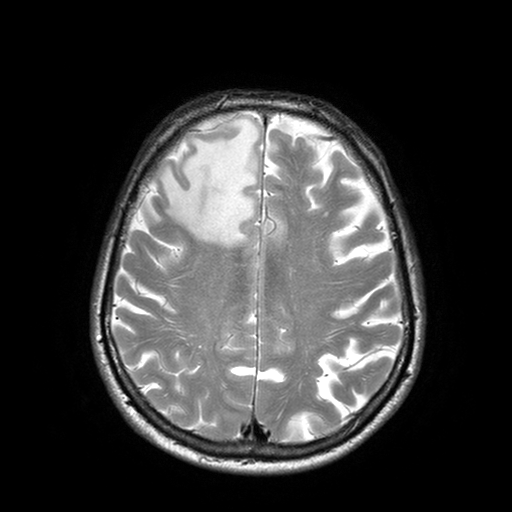
modality: 3 Tesla brain MRI; series: T2-weighted turbo spin echo with SENSE; study: ring-enhancing brain masses.